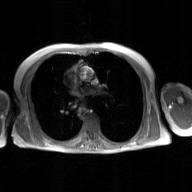
Clinical context: 2D phase-contrast cine MRI of the ascending aorta, GAN super-resolution reconstruction.